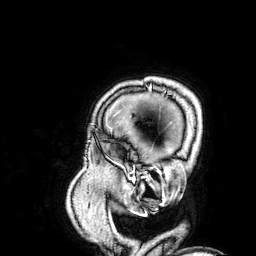
3 Tesla brain MRI.
Series: 3D T1-weighted.
Study: ring-enhancing brain masses.